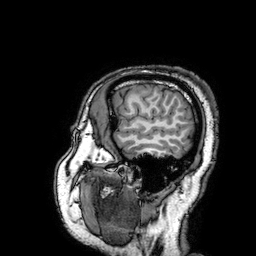
3 Tesla brain MRI.
Series: 3D T1-weighted turbo field echo with SENSE.
Study: ring-enhancing brain masses.